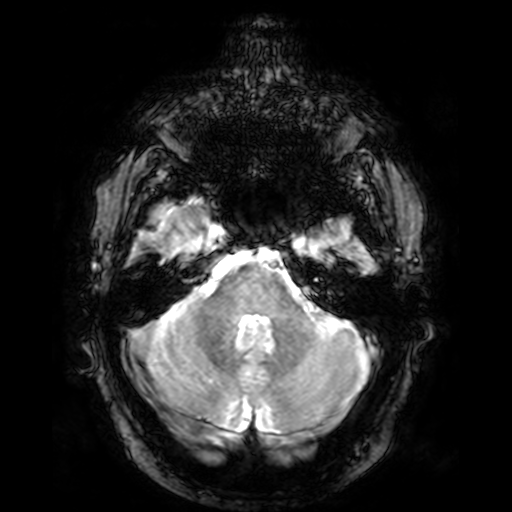
modality:
  type: brain MRI
  field_strength: 3T
series: T2-weighted fast field echo
study_topic: ring-enhancing brain masses